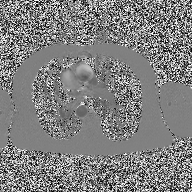
| field | value |
|---|---|
| modality | 2D phase-contrast cine MRI of the ascending aorta |